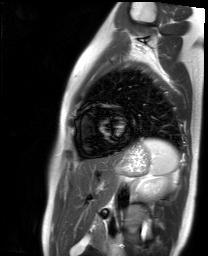
modality = cardiac MR image of the myocardium | subject cohort = healthy volunteer.